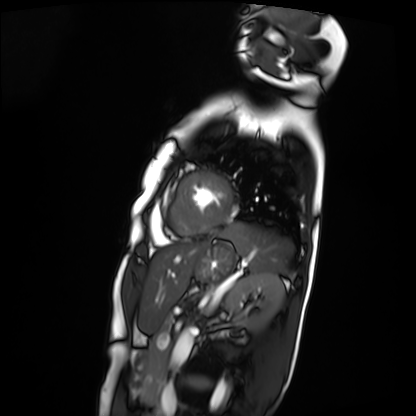
Summary: Cardiac MRI. Subject group: patient.